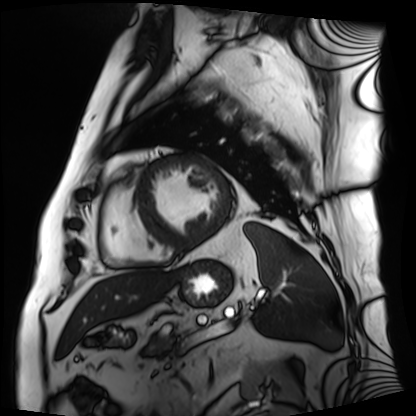
Cardiac MRI. Subject group: patient.